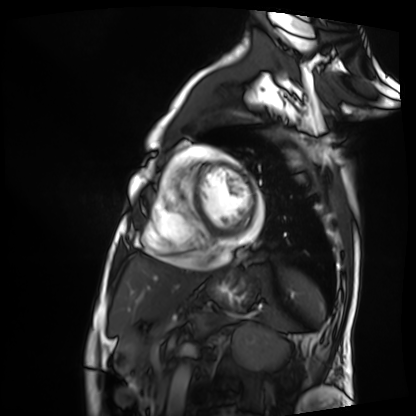
Q: What kind of scan is this?
A: Cardiac MRI.
Subject group: patient.